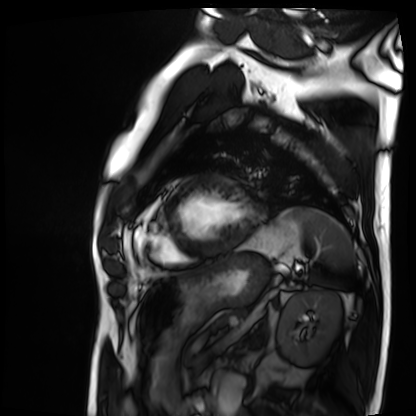
{"modality": "cardiac MRI", "cohort": "patient"}